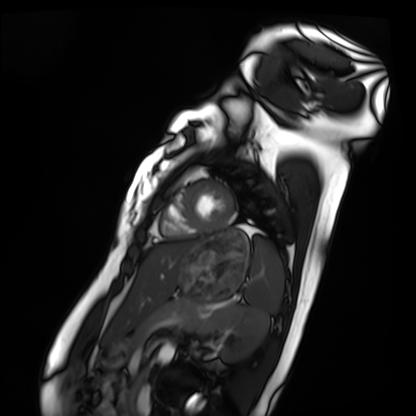
modality: cardiac MRI
subject group: healthy volunteer